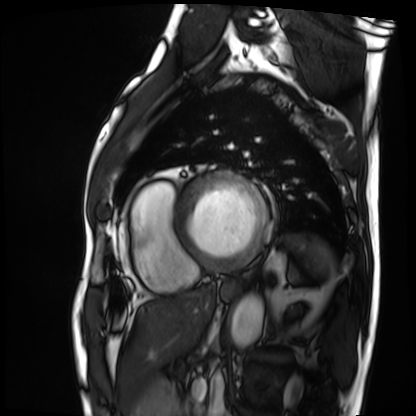
Cardiac MRI.
Subject group: patient.